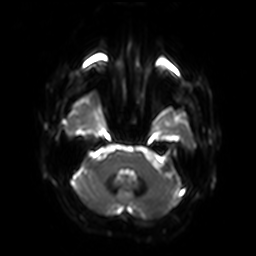
Q: What kind of scan is this?
A: 3 Tesla brain MRI.
Q: Series?
A: Diffusion-weighted imaging with SENSE (WIP).
Study: ring-enhancing brain masses.